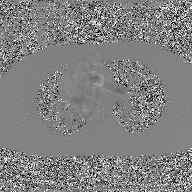
Case summary:
2D phase-contrast cine MRI of the ascending aorta, GAN super-resolution reconstruction.